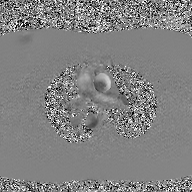
<case>
<modality>
  <type>2D phase-contrast cine MRI</type>
  <region>ascending aorta</region>
  <reconstruction>GAN super-resolution reconstruction</reconstruction>
</modality>
</case>